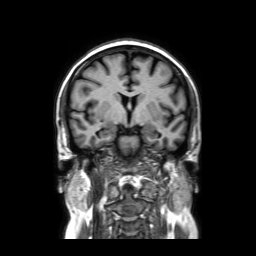
Q: What kind of scan is this?
A: 3 Tesla brain MRI.
Study: ring-enhancing brain masses.